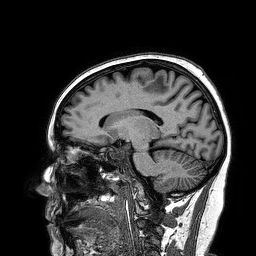
modality — 3 Tesla brain MRI | series — 3D T1-weighted turbo field echo | study — ring-enhancing brain masses.